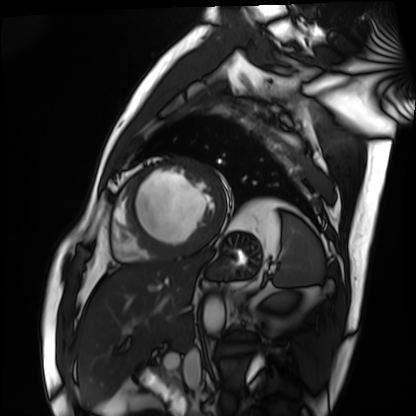
Cardiac MRI.
Subject group: patient.